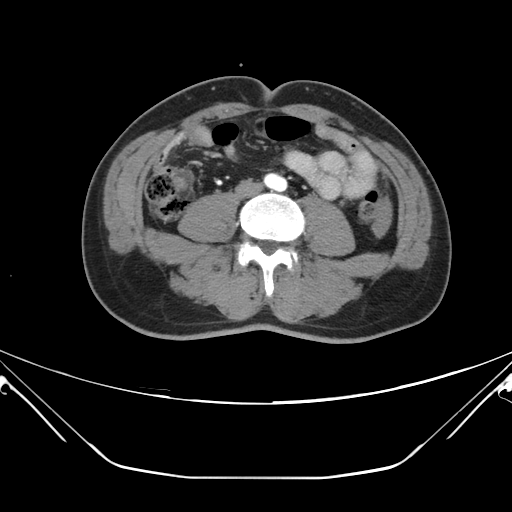
Case summary:
Multiphase abdominal CT, liver, portal venous phase. Patient: male, age 48. History: viral hepatitis.